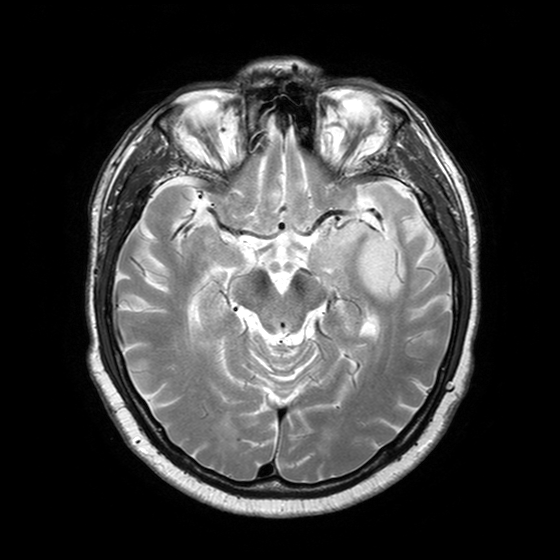
3 Tesla brain MRI.
Series: T2-weighted turbo spin echo with SENSE.
Study: ring-enhancing brain masses.